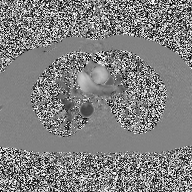
{"modality": {"type": "2D phase-contrast cine MRI", "region": "ascending aorta", "reconstruction": "high-resolution GRAPPA acquisition"}}